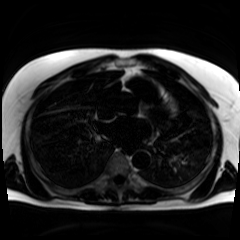
modality: chemical-shift-encoded cardiac MRI